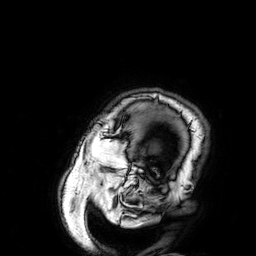
Q: What kind of scan is this?
A: 3 Tesla brain MRI.
Q: Series?
A: 3D T1-weighted.
Study: ring-enhancing brain masses.